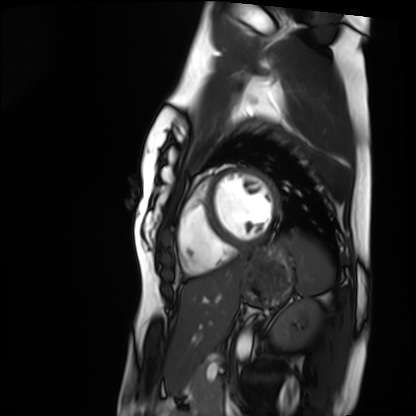
Cardiac MRI.
Subject group: healthy volunteer.